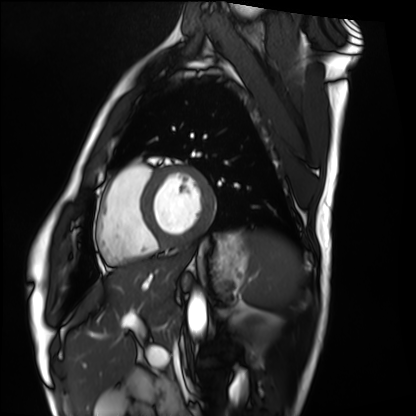
Q: What kind of scan is this?
A: Cardiac MRI.
Subject group: healthy volunteer.